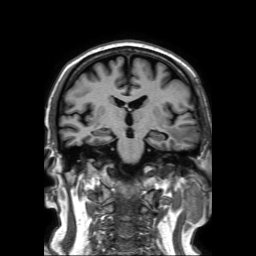
Summary: 3 Tesla brain MRI. Series: 3D T1-weighted TFE with SENSE. Study: ring-enhancing brain masses.